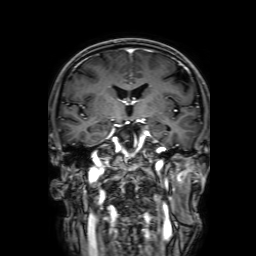
3 Tesla brain MRI.
Series: 3D T1-weighted with SENSE.
Study: ring-enhancing brain masses.